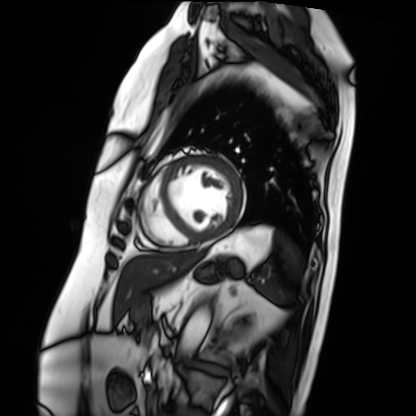
<case>
  <modality>cardiac MRI</modality>
  <cohort>patient</cohort>
</case>